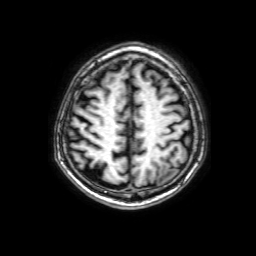
{"modality": {"type": "brain MRI", "field_strength": "3T"}, "series": "3D T1-weighted with SENSE", "study_topic": "ring-enhancing brain masses"}